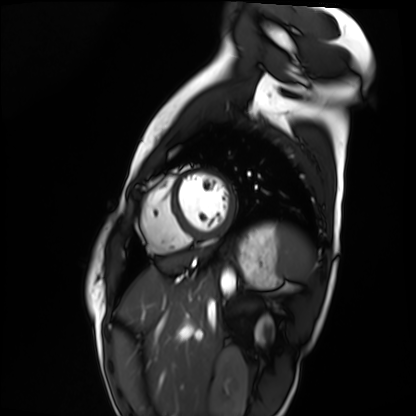
Cardiac MRI. Subject group: healthy volunteer.